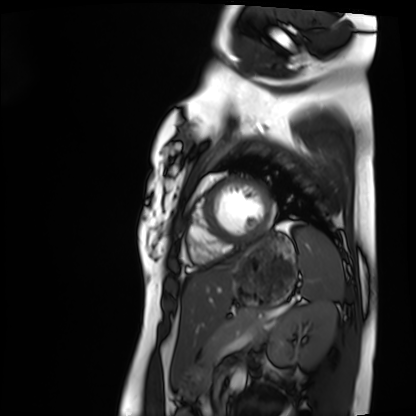
{"modality": "cardiac MRI", "cohort": "healthy volunteer"}